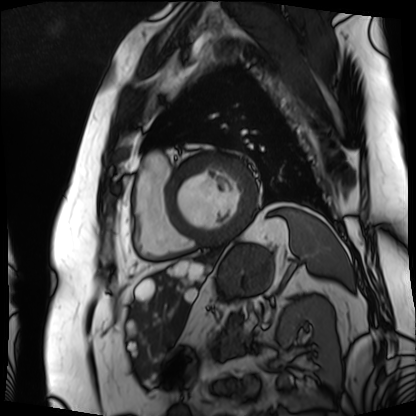
modality — cardiac MRI
subject group — patient